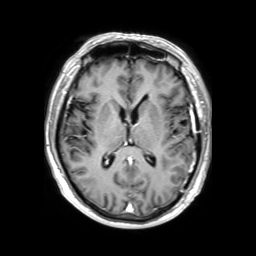
modality: 3 Tesla brain MRI | series: 3D T1-weighted TFE with SENSE | study: ring-enhancing brain masses.